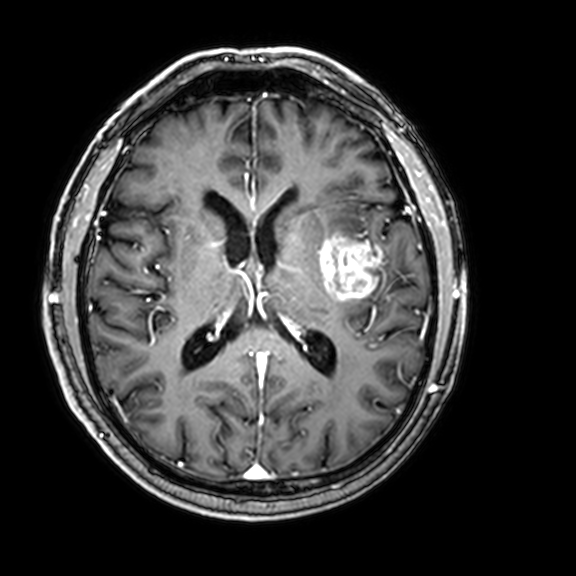
modality: 3 Tesla brain MRI
series: 3D T1-weighted with CLEAR
study: ring-enhancing brain masses